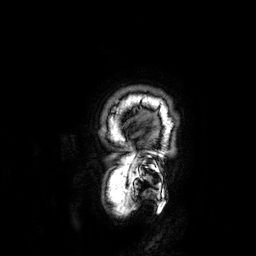
Clinical context: 3 Tesla brain MRI. Series: 3D T1-weighted. Study: ring-enhancing brain masses.